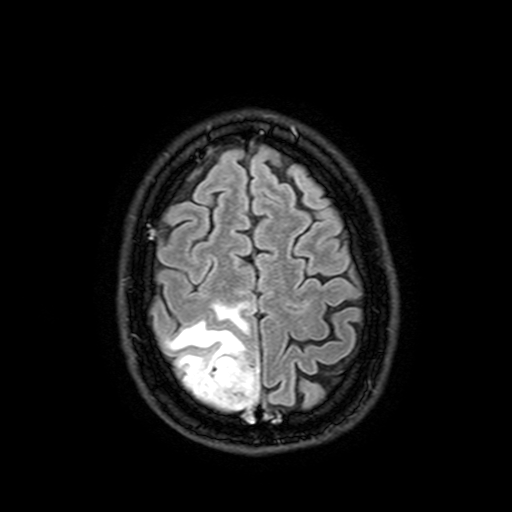
modality: 3 Tesla brain MRI | series: FLAIR with SPAIR, 3 mm | study: ring-enhancing brain masses.